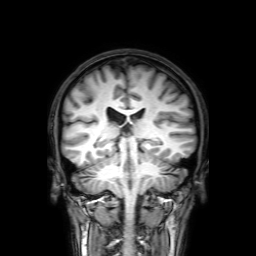
3 Tesla brain MRI. Series: 3D T1-weighted with SENSE. Study: ring-enhancing brain masses.